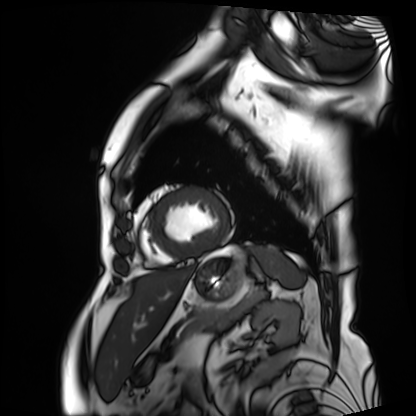
modality: cardiac MRI
subject group: patient